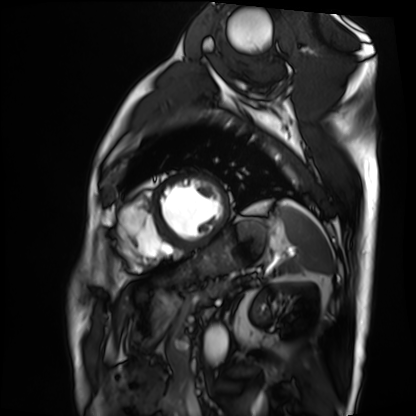
modality: cardiac MRI | subject group: patient.